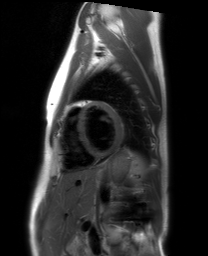
modality = cardiac MRI, subject group = healthy volunteer.